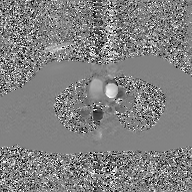
2D phase-contrast cine MRI of the ascending aorta, GAN super-resolution reconstruction.